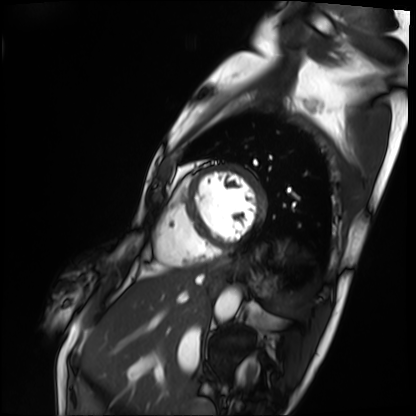
Clinical context: Cardiac MRI. Subject group: patient.